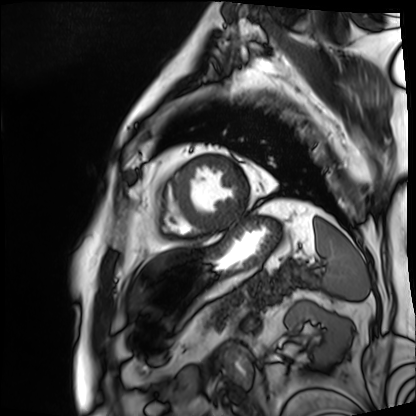
modality = cardiac MRI; subject group = patient.